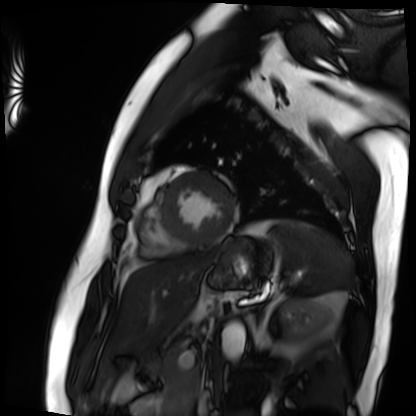
<study>
<modality>cardiac MRI</modality>
<cohort>patient</cohort>
</study>